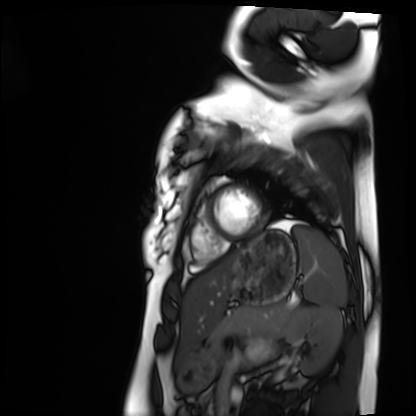
• modality: cardiac MRI
• subject group: healthy volunteer